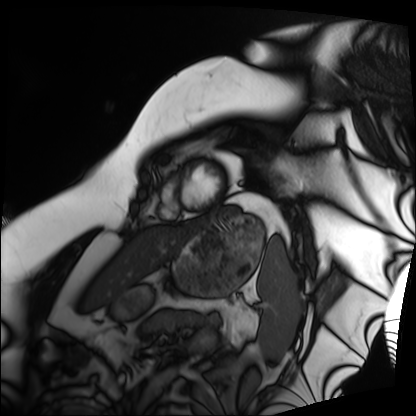
Summary: Cardiac MRI. Subject group: patient.